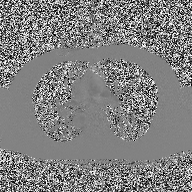
Q: What kind of scan is this?
A: 2D phase-contrast cine MRI of the ascending aorta.